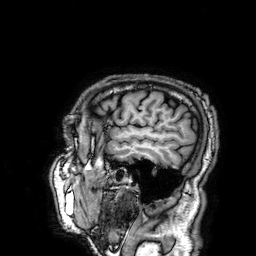
Case:
* modality: 3 Tesla brain MRI
* series: 3D T1-weighted
* study: ring-enhancing brain masses